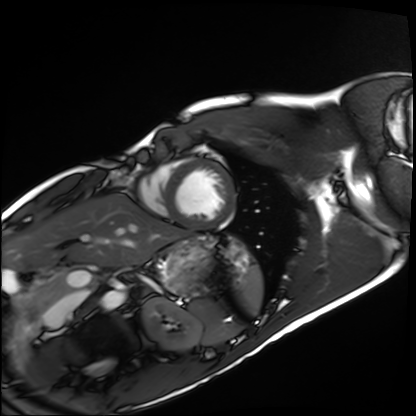
| field | value |
|---|---|
| modality | cardiac MRI |
| subject group | healthy volunteer |